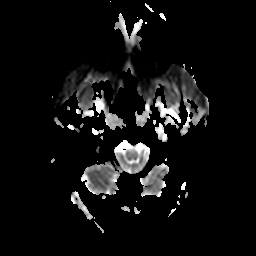
| field | value |
|---|---|
| modality | 3 Tesla brain MRI |
| series | apparent diffusion coefficient (ADC) map |
| study | ring-enhancing brain masses |